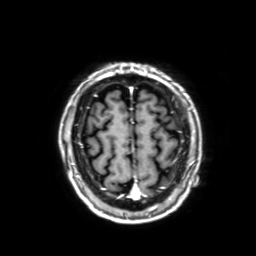
modality: 3 Tesla brain MRI; series: 3D T1-weighted with SENSE; study: ring-enhancing brain masses.